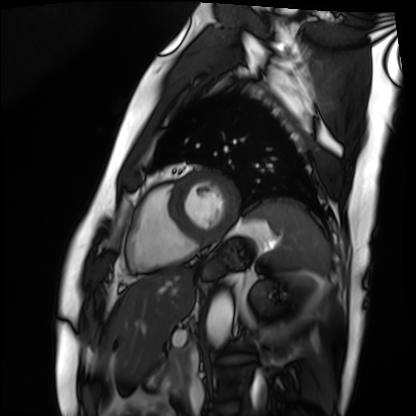
modality — cardiac MRI | subject group — patient.